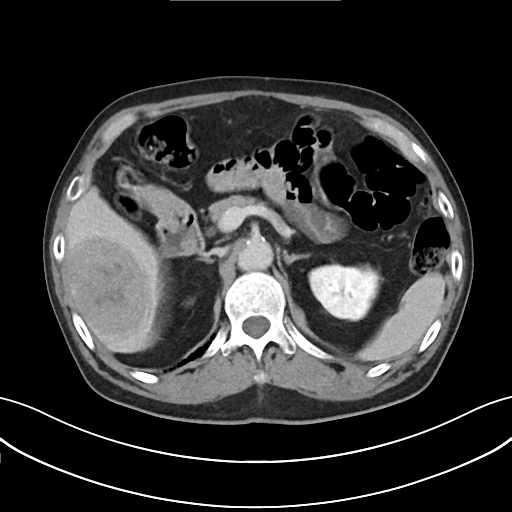
Summary:
Multiphase abdominal CT, liver, delayed phase. Patient: male, age 76.